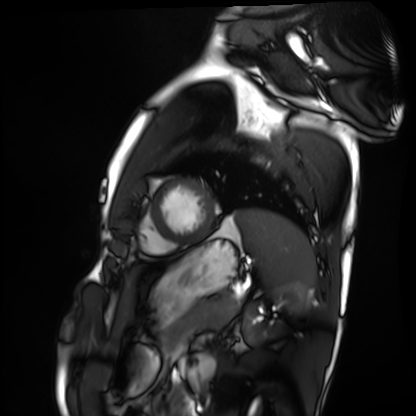
modality: cardiac MRI
cohort: healthy volunteer